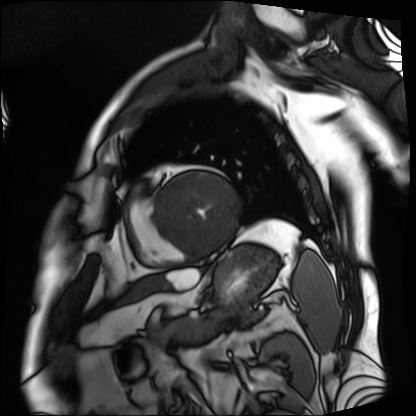
Cardiac MRI. Subject group: patient.